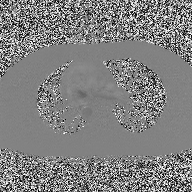
2D phase-contrast cine MRI of the ascending aorta, high-resolution GRAPPA acquisition.